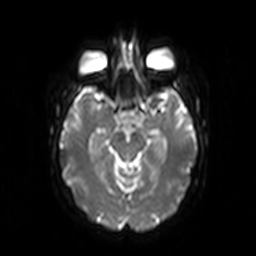
Case:
- modality · 3 Tesla brain MRI
- series · diffusion-weighted imaging
- study · ring-enhancing brain masses